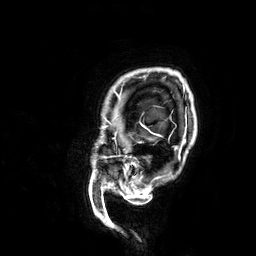
3 Tesla brain MRI. Series: 3D T1-weighted. Study: ring-enhancing brain masses.